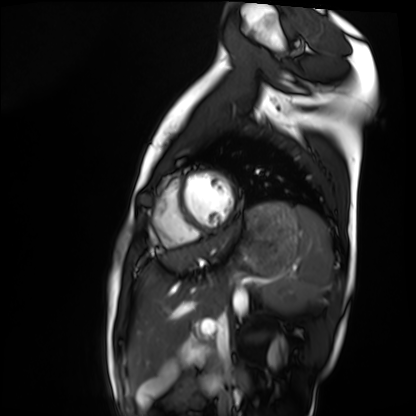
* modality — cardiac MRI
* subject group — healthy volunteer